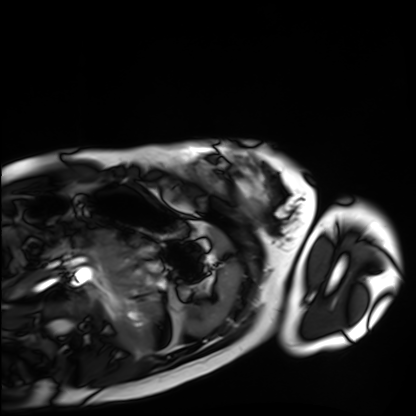
{
  "modality": "cardiac MRI",
  "cohort": "healthy volunteer"
}